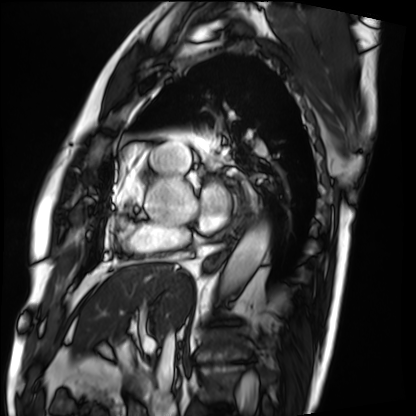
Summary:
Cardiac MRI. Subject group: patient.